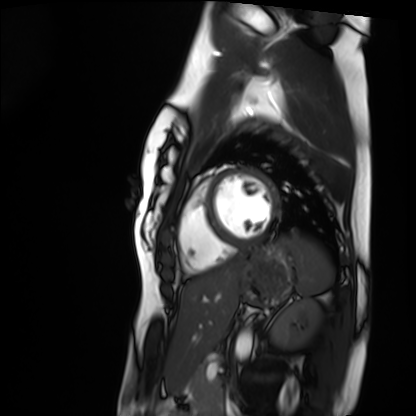
Q: What kind of scan is this?
A: Cardiac MRI.
Subject group: healthy volunteer.